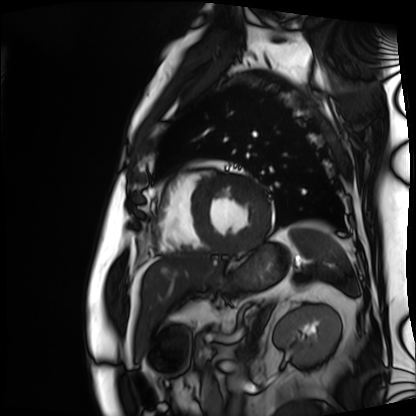
modality = cardiac MRI; subject group = patient.